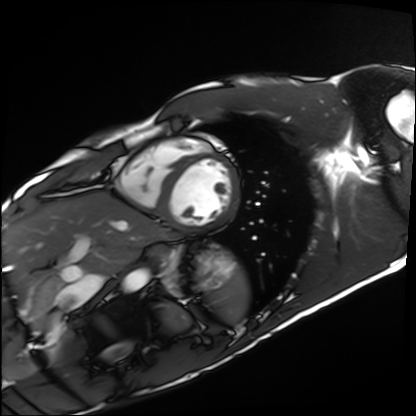
{"modality": "cardiac MRI", "cohort": "healthy volunteer"}